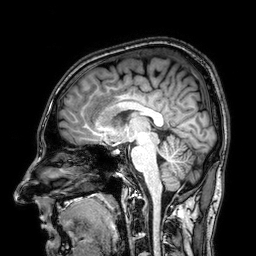
3 Tesla brain MRI. Series: 3D T1-weighted. Study: ring-enhancing brain masses.